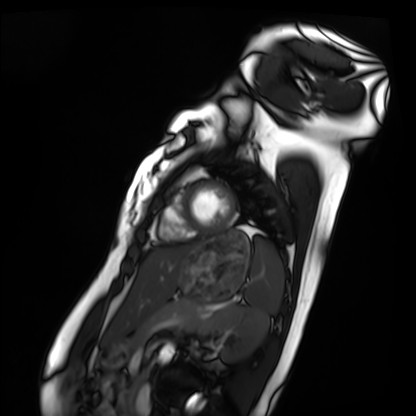
Q: What kind of scan is this?
A: Cardiac MRI.
Subject group: healthy volunteer.